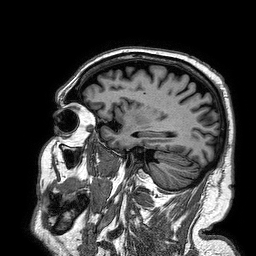
  modality:
    type: brain MRI
    field_strength: 3T
  series: 3D T1-weighted turbo field echo
  study_topic: ring-enhancing brain masses